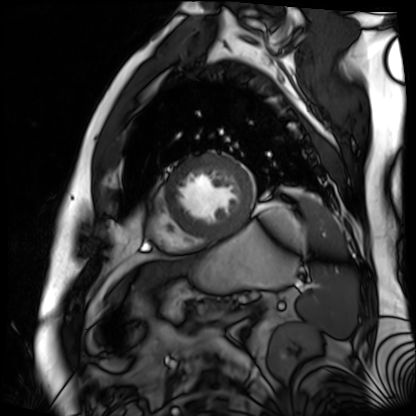
modality: cardiac MR image of the myocardium; subject cohort: cardiac patient.